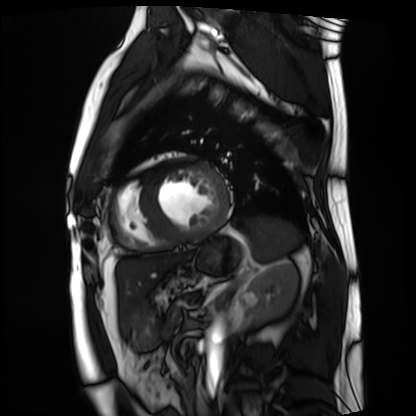
Cardiac MRI.
Subject group: patient.